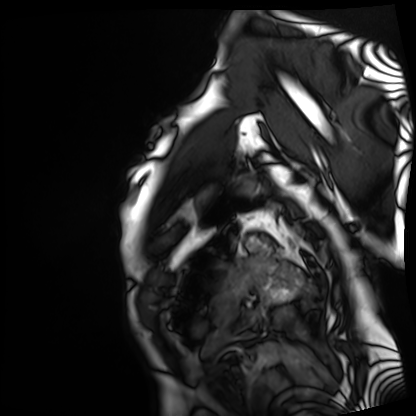
<scan>
<modality>cardiac MRI</modality>
<cohort>patient</cohort>
</scan>